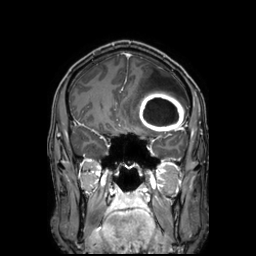
Q: What kind of scan is this?
A: 3 Tesla brain MRI.
Q: Series?
A: 3D T1-weighted TFE with SENSE.
Study: ring-enhancing brain masses.